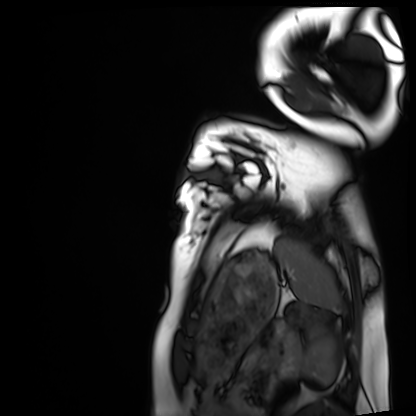
<scan>
  <modality>cardiac MRI</modality>
  <cohort>healthy volunteer</cohort>
</scan>